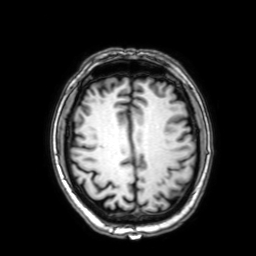
Summary:
3 Tesla brain MRI. Series: 3D T1-weighted with SENSE. Study: ring-enhancing brain masses.